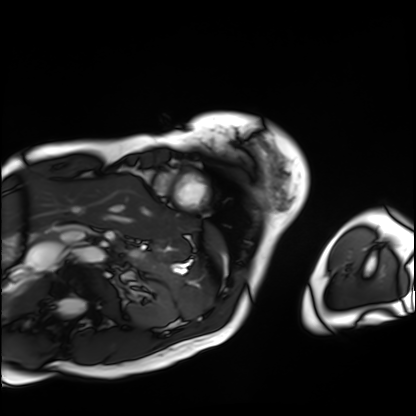
Case:
• modality: cardiac MRI
• subject group: patient